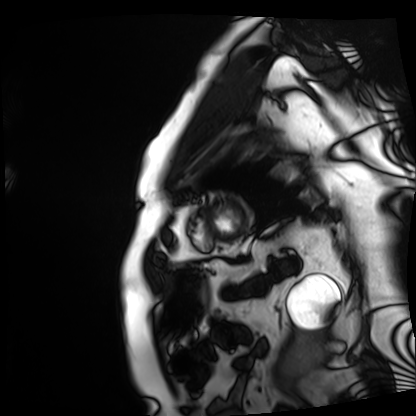
– modality: cardiac MRI
– subject group: patient